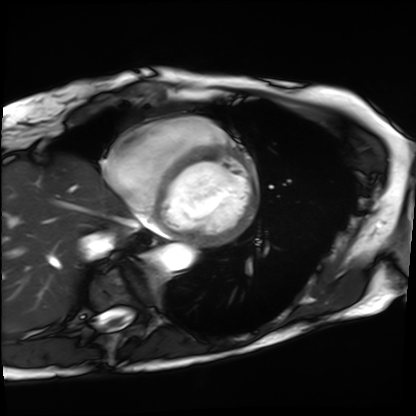
  modality: cardiac MRI
  cohort: patient